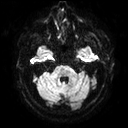
3 Tesla brain MRI. Series: diffusion tensor imaging (medium iso). Study: ring-enhancing brain masses.